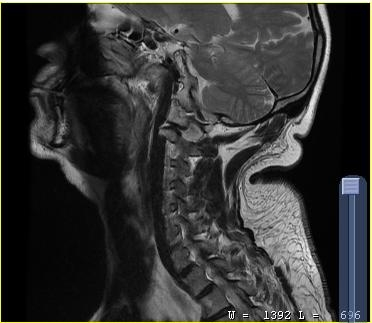
| field | value |
|---|---|
| modality | MRI of the cervical spine |
| study | cervical spondylosis |